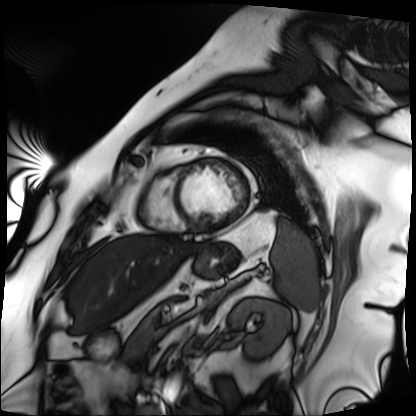
Cardiac MRI. Subject group: patient.